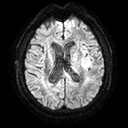
Case:
- modality — 3 Tesla brain MRI
- series — diffusion tensor imaging (medium iso)
- study — ring-enhancing brain masses